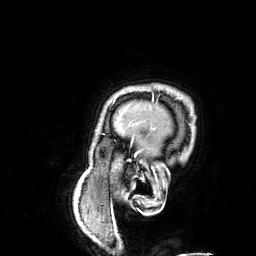
3 Tesla brain MRI. Series: 3D T1-weighted. Study: ring-enhancing brain masses.